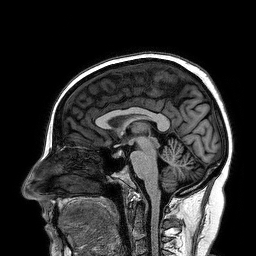
3 Tesla brain MRI. Series: 3D T1-weighted turbo field echo. Study: ring-enhancing brain masses.